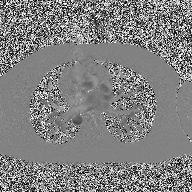
Summary: 2D phase-contrast cine MRI of the ascending aorta, high-resolution GRAPPA acquisition.